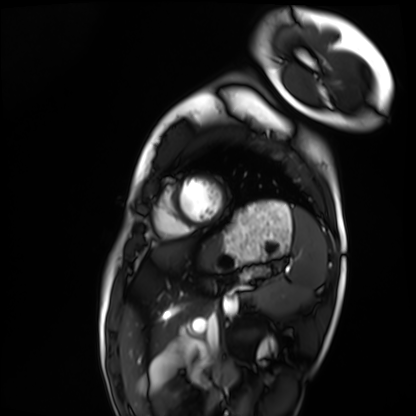
Case summary:
Cardiac MRI. Subject group: healthy volunteer.